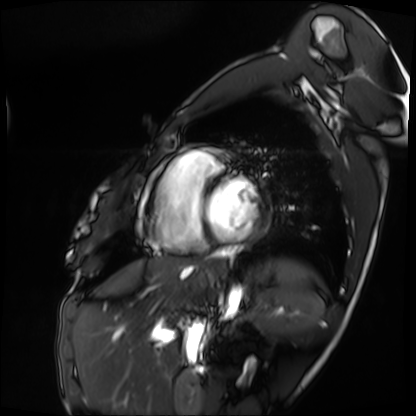
Cardiac MRI. Subject group: patient.